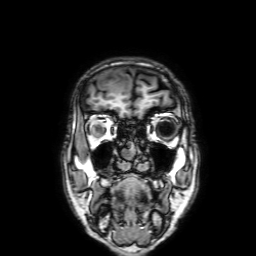
3 Tesla brain MRI. Series: 3D T1-weighted with SENSE. Study: ring-enhancing brain masses.